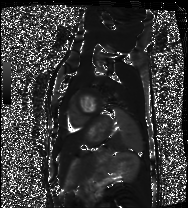
{
  "modality": "cardiac MRI",
  "cohort": "healthy volunteer"
}